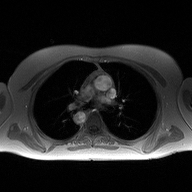
Case:
• modality — 2D phase-contrast cine MRI of the ascending aorta